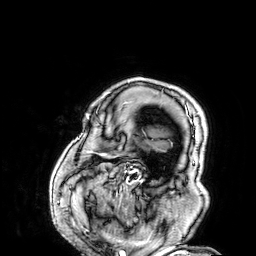
Summary: 3 Tesla brain MRI. Series: 3D T1-weighted. Study: ring-enhancing brain masses.